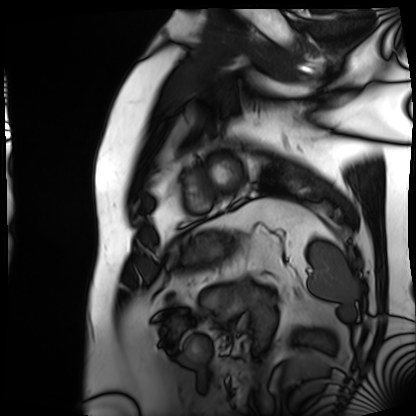
Cardiac MRI. Subject group: patient.